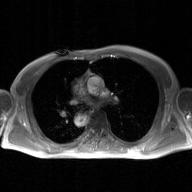
modality: 2D phase-contrast cine MRI of the ascending aorta, GAN super-resolution reconstruction.